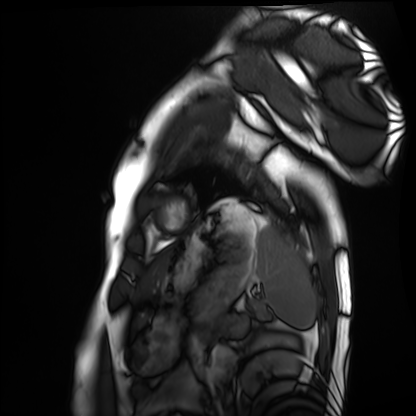
Cardiac MRI.
Subject group: healthy volunteer.